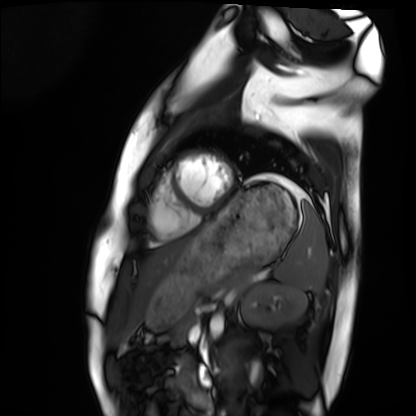
modality: cardiac MRI
subject group: healthy volunteer